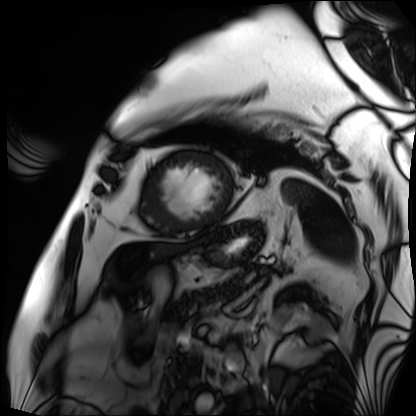
Cardiac MRI.
Subject group: patient.